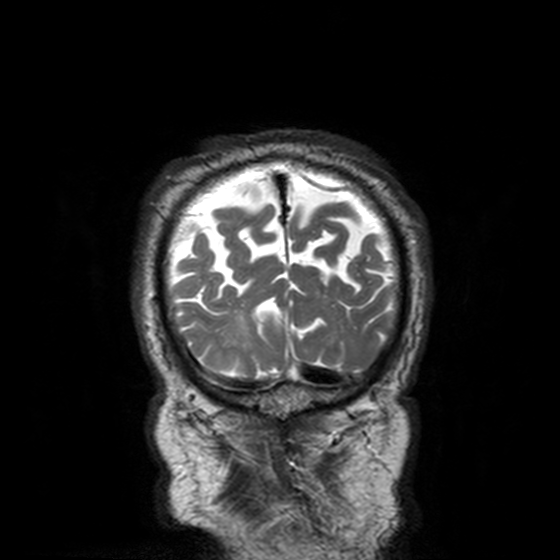
modality: 3 Tesla brain MRI; series: T2-weighted turbo spin echo, 3 mm; study: ring-enhancing brain masses.